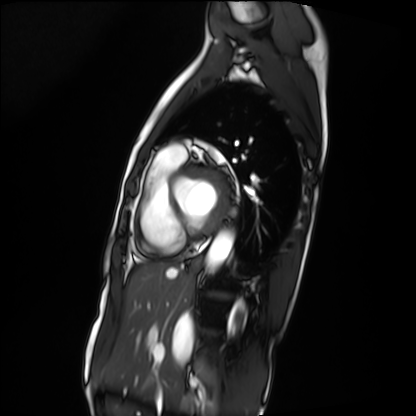
Cardiac MRI.
Subject group: patient.